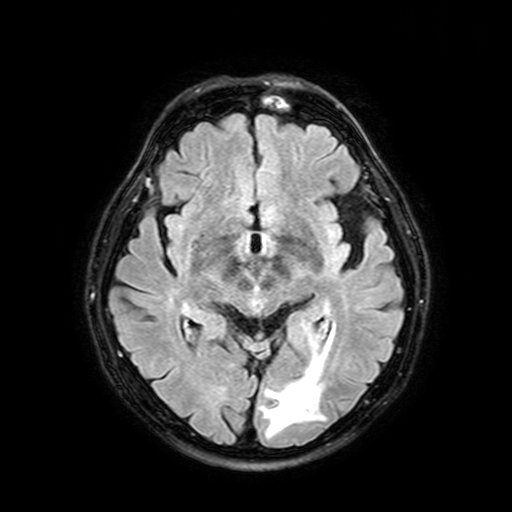
| field | value |
|---|---|
| modality | 3 Tesla brain MRI |
| series | FLAIR with SPAIR, 3 mm |
| study | ring-enhancing brain masses |